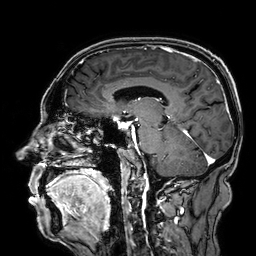
3 Tesla brain MRI. Series: 3D T1-weighted. Study: ring-enhancing brain masses.